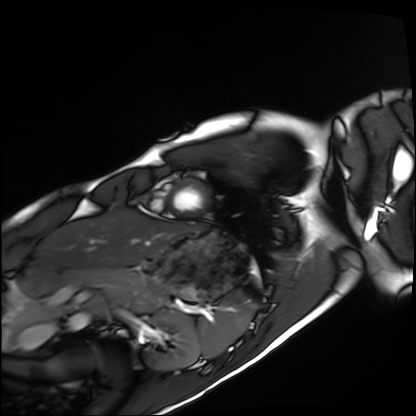
Cardiac MRI.
Subject group: healthy volunteer.